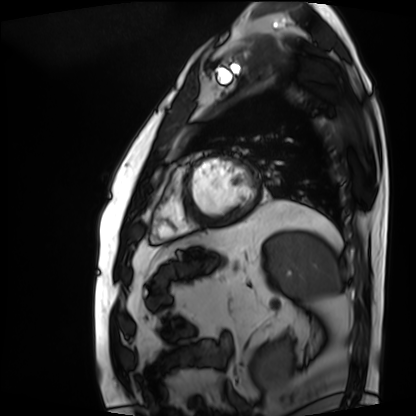
modality = cardiac MRI | subject group = patient.